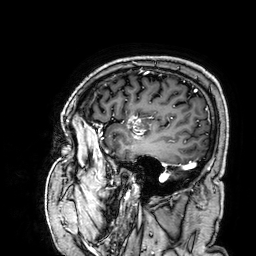
modality = 3 Tesla brain MRI; series = 3D T1-weighted; study = ring-enhancing brain masses.